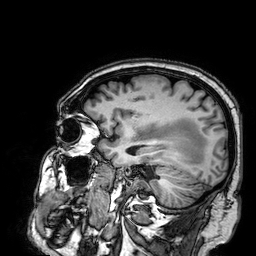
modality:
  type: brain MRI
  field_strength: 3T
series: 3D T1-weighted
study_topic: ring-enhancing brain masses